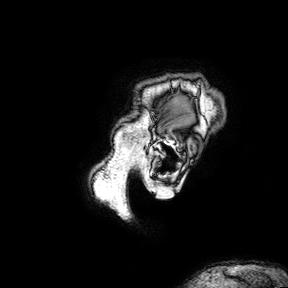
{
  "modality": {
    "type": "brain MRI",
    "field_strength": "3T"
  },
  "series": "3D T1-weighted turbo field echo with SENSE",
  "study_topic": "ring-enhancing brain masses"
}